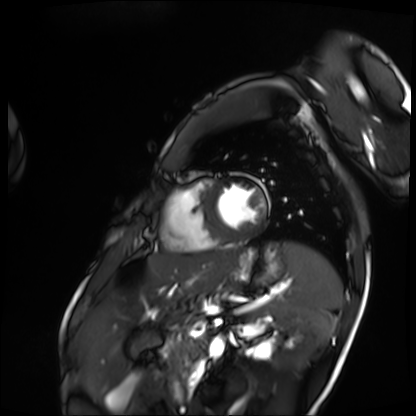
Cardiac MRI. Subject group: patient.